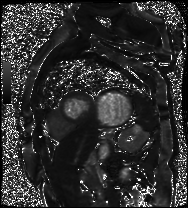
modality — cardiac MR image of the myocardium
subject cohort — cardiac patient